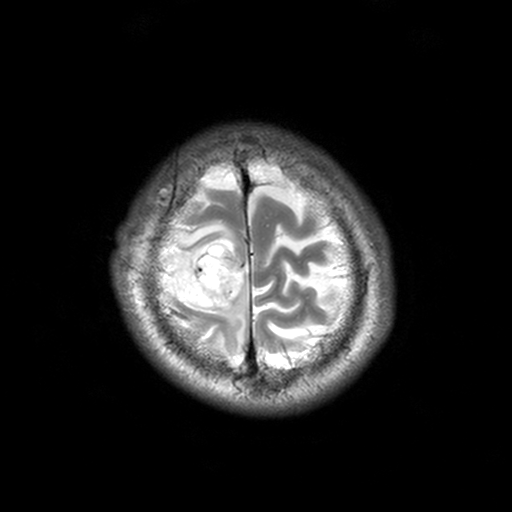
  modality:
    type: brain MRI
    field_strength: 3T
  study_topic: ring-enhancing brain masses